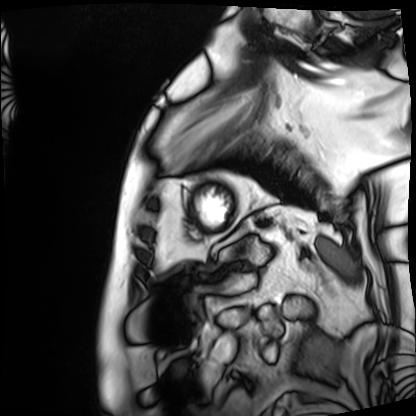
Cardiac MRI. Subject group: patient.